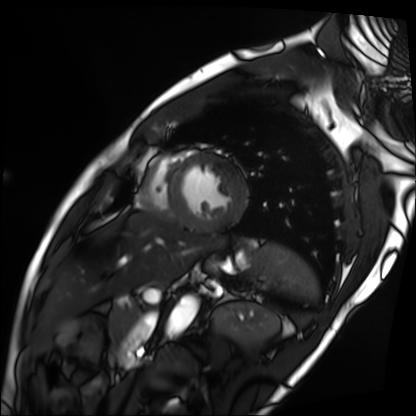
Summary: Cardiac MRI. Subject group: patient.